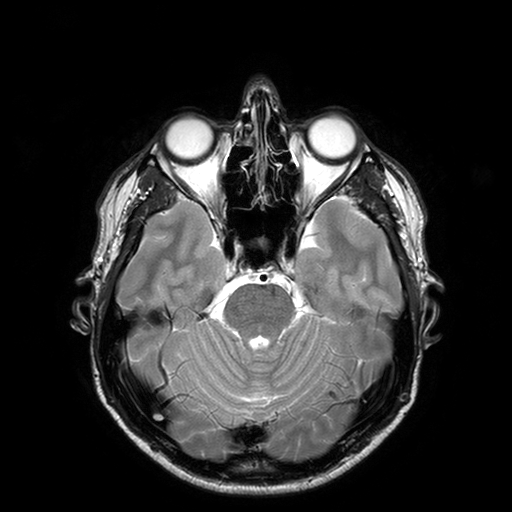
• modality: 3 Tesla brain MRI
• series: T2-weighted turbo spin echo with SENSE
• study: ring-enhancing brain masses